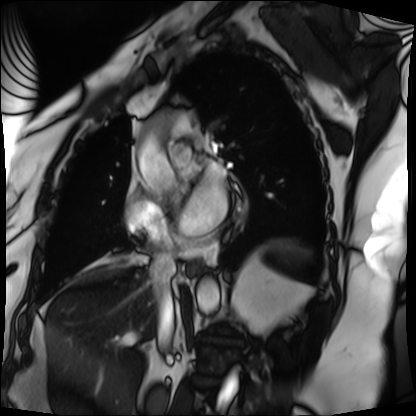
Cardiac MRI.
Subject group: patient.